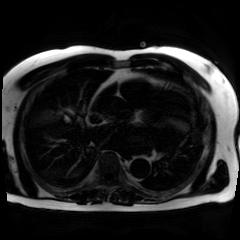
modality = chemical-shift-encoded cardiac MRI.